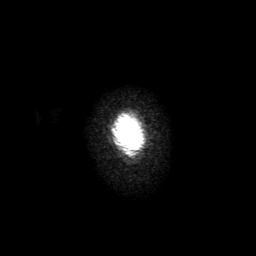
| field | value |
|---|---|
| modality | 3 Tesla brain MRI |
| series | 3D T1-weighted with SENSE |
| study | ring-enhancing brain masses |